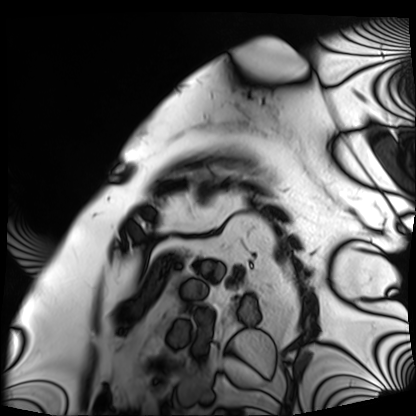
modality=cardiac MRI
subject group=patient